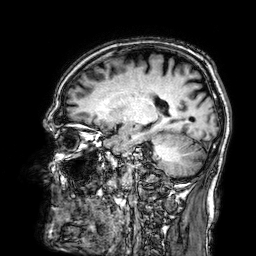
<record>
  <modality>
    <type>brain MRI</type>
    <field_strength>3T</field_strength>
  </modality>
  <series>3D T1-weighted</series>
  <study_topic>ring-enhancing brain masses</study_topic>
</record>